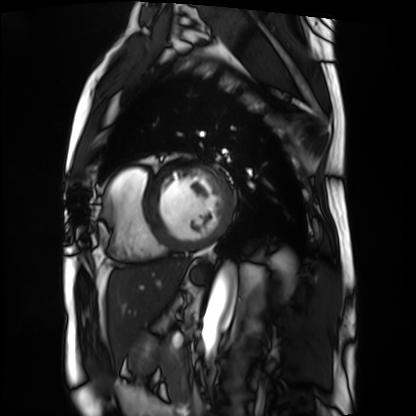
| field | value |
|---|---|
| modality | cardiac MRI |
| subject group | patient |